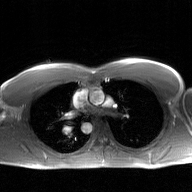
2D phase-contrast cine MRI of the ascending aorta, GAN super-resolution reconstruction.